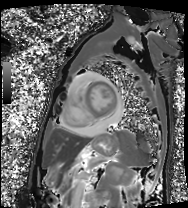
  modality: cardiac MRI
  cohort: patient